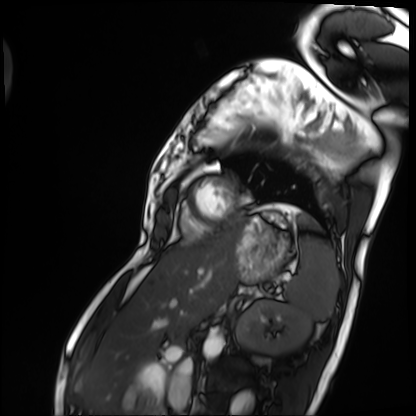
modality: cardiac MRI | subject group: patient.